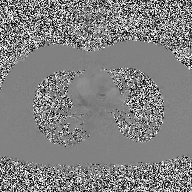
– modality · 2D phase-contrast cine MRI of the ascending aorta